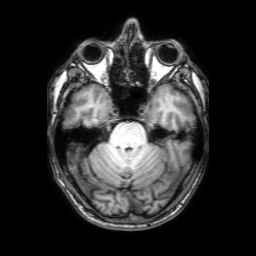
3 Tesla brain MRI.
Study: ring-enhancing brain masses.